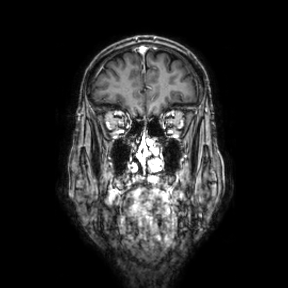
modality = 3 Tesla brain MRI
series = coronal
study = ring-enhancing brain masses